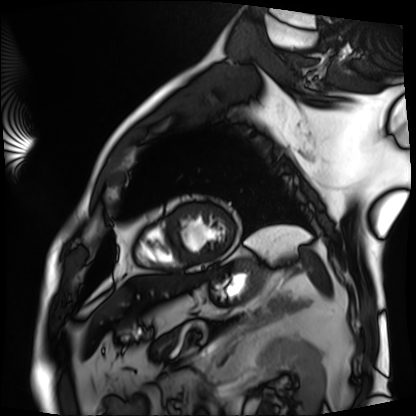
modality: cardiac MRI, subject group: patient.